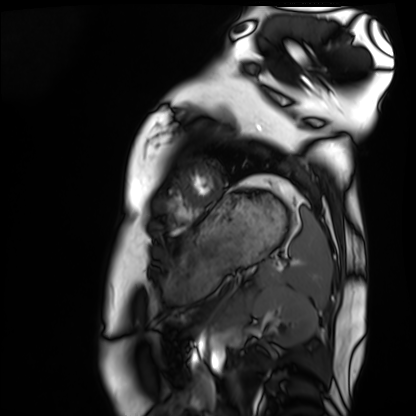
modality: cardiac MRI
cohort: healthy volunteer